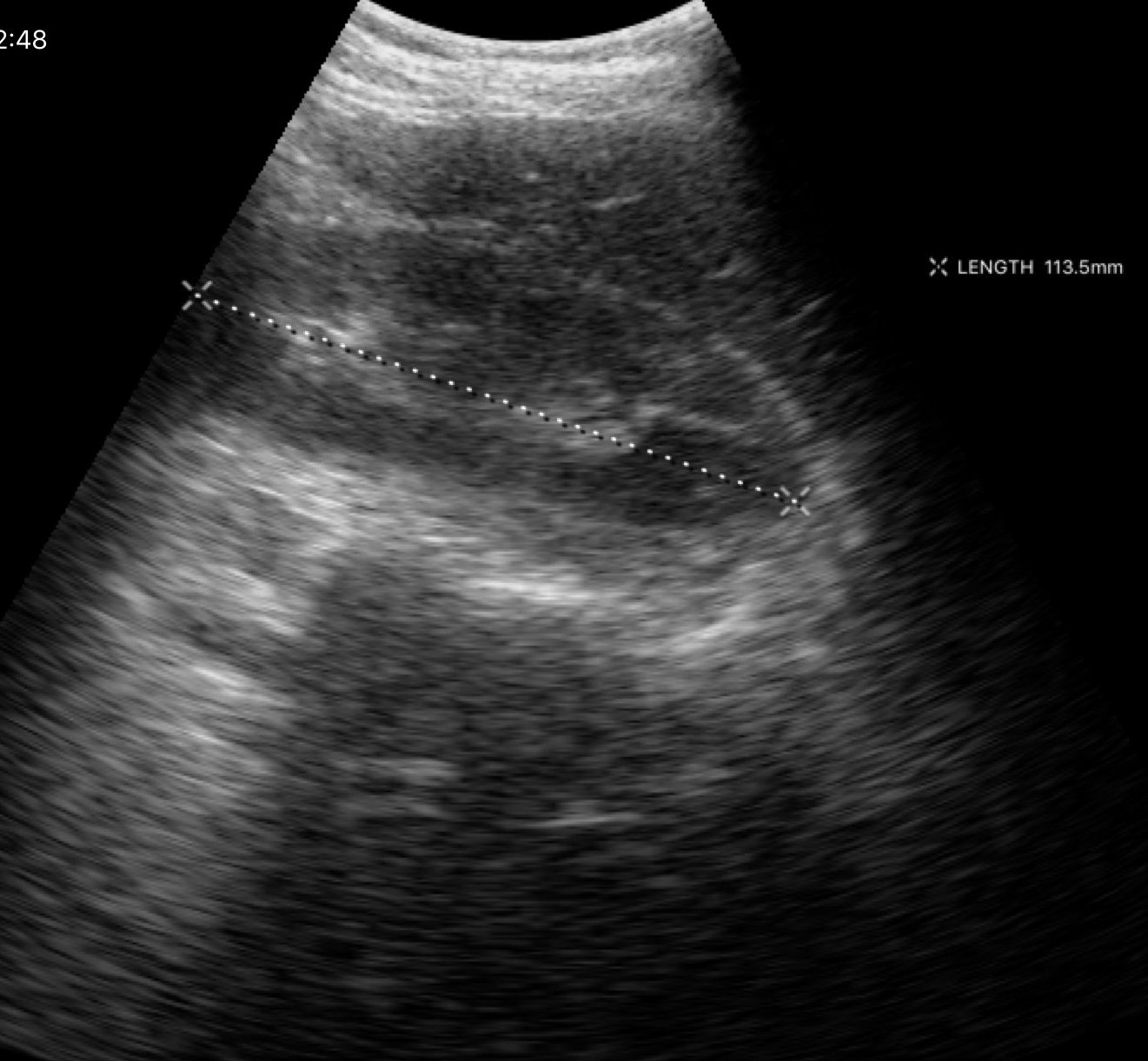
modality = genitourinary ultrasound.